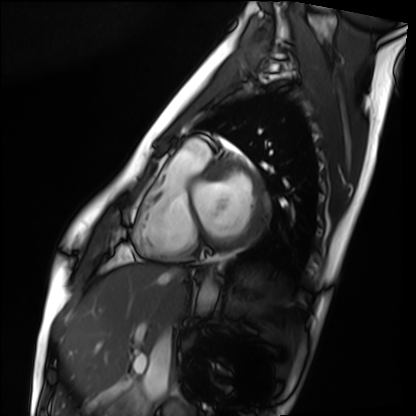
Case:
• modality: cardiac MRI
• subject group: healthy volunteer